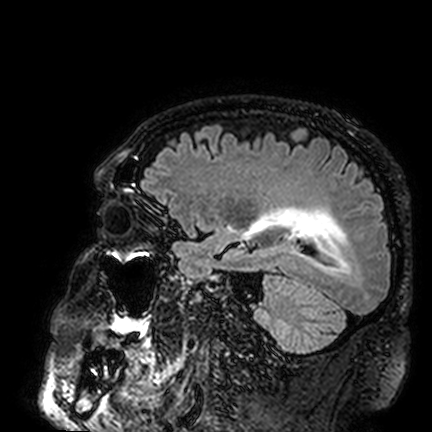
3 Tesla brain MRI. Series: FLAIR VISTA. Study: ring-enhancing brain masses.